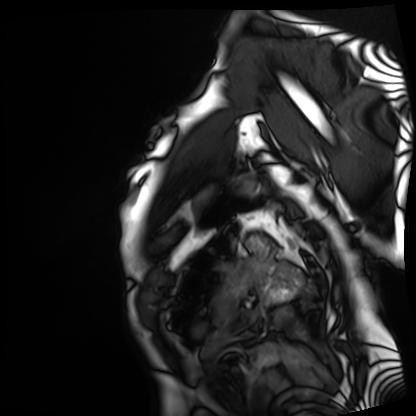
Cardiac MRI.
Subject group: patient.